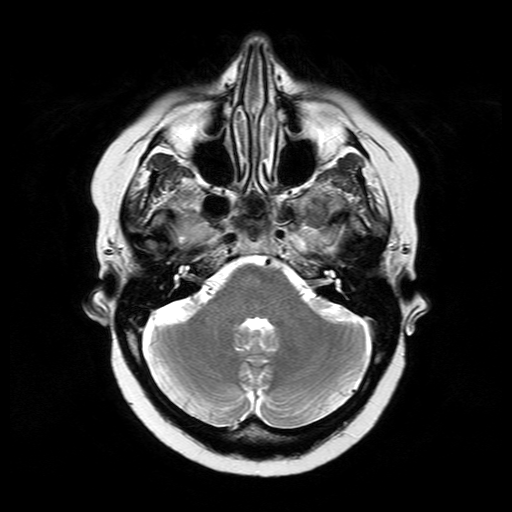
3 Tesla brain MRI.
Series: T2-weighted turbo spin echo.
Study: ring-enhancing brain masses.